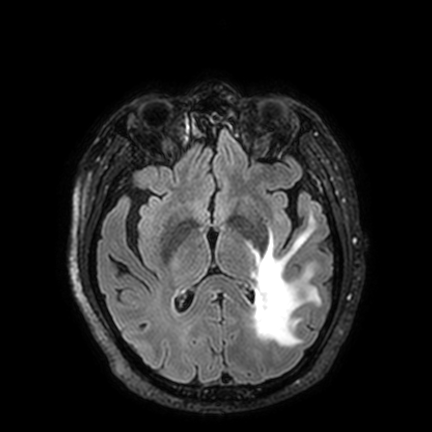
Summary: 3 Tesla brain MRI. Series: FLAIR VISTA with SENSE. Study: ring-enhancing brain masses.